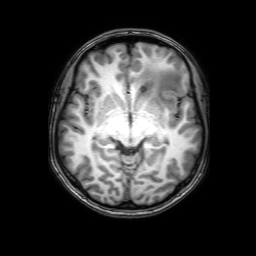
modality = 3 Tesla brain MRI; series = 3D T1-weighted with SENSE; study = ring-enhancing brain masses.